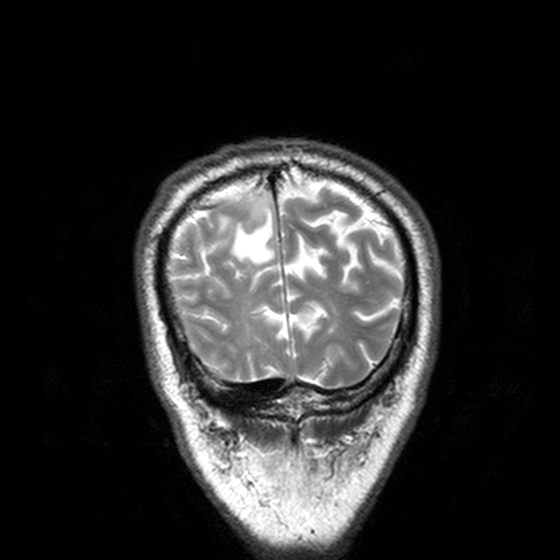
modality: 3 Tesla brain MRI; series: T2-weighted turbo spin echo, 3 mm; study: ring-enhancing brain masses.